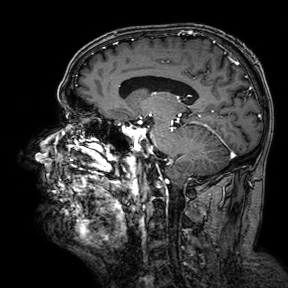
Q: What kind of scan is this?
A: 3 Tesla brain MRI.
Q: Series?
A: 3D T1-weighted turbo field echo with SENSE.
Study: ring-enhancing brain masses.